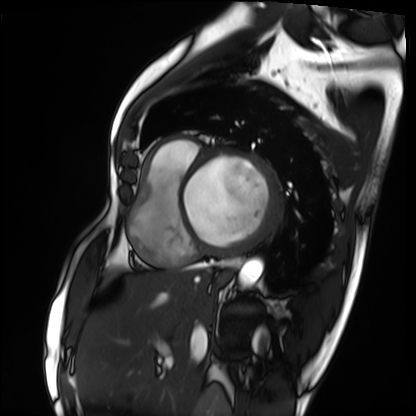
<study>
  <modality>cardiac MRI</modality>
  <cohort>patient</cohort>
</study>